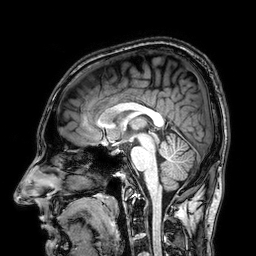
Clinical context: 3 Tesla brain MRI. Series: 3D T1-weighted. Study: ring-enhancing brain masses.